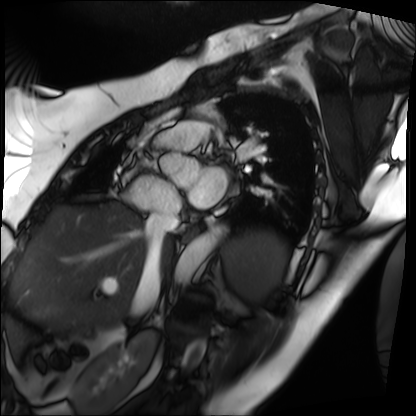
• modality — cardiac MRI
• subject group — patient